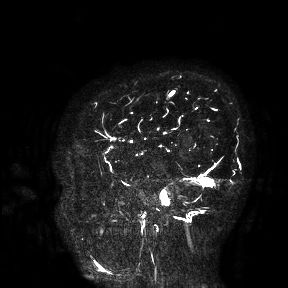
• modality · 3 Tesla brain MRI
• study · ring-enhancing brain masses